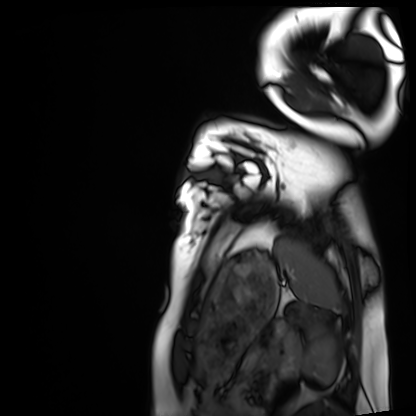
Q: What kind of scan is this?
A: Cardiac MRI.
Subject group: healthy volunteer.